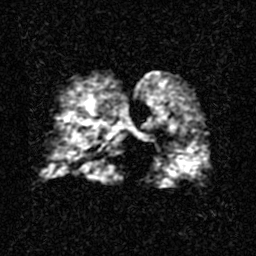
• modality: hyperpolarized 129Xe ventilation MRI of the lungs
• SNR level: 2 of 8 (the deposit holds this scan as its native image and as seven SNR-degraded versions)